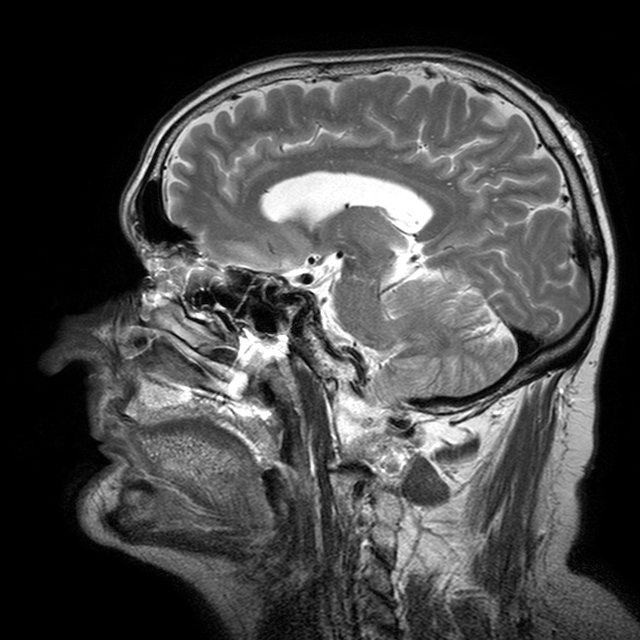
| field | value |
|---|---|
| modality | 3 Tesla brain MRI |
| series | T2-weighted turbo spin echo with CLEAR |
| study | ring-enhancing brain masses |